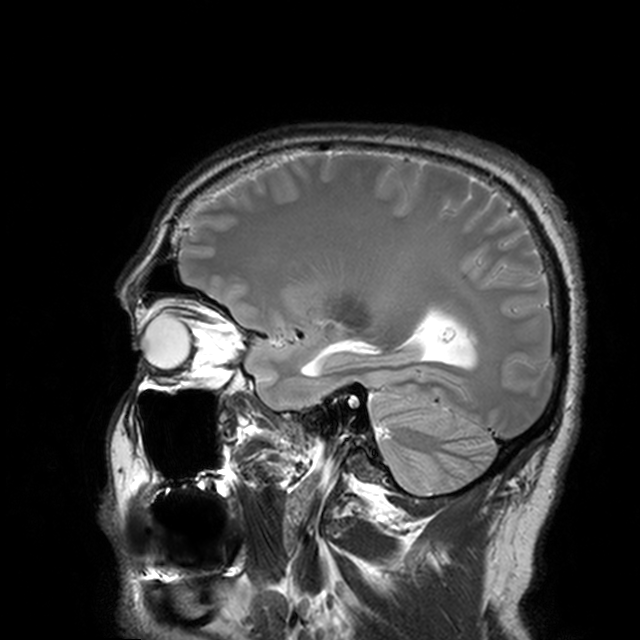
Q: What kind of scan is this?
A: 3 Tesla brain MRI.
Q: Series?
A: T2-weighted turbo spin echo with CLEAR.
Study: ring-enhancing brain masses.